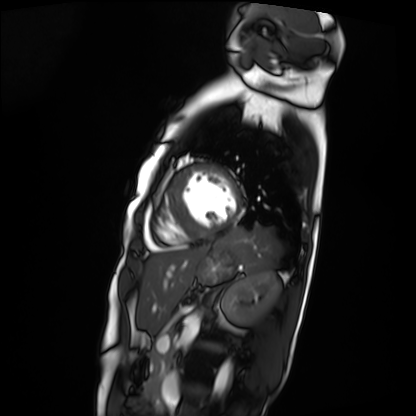
Case:
- modality · cardiac MRI
- subject group · patient